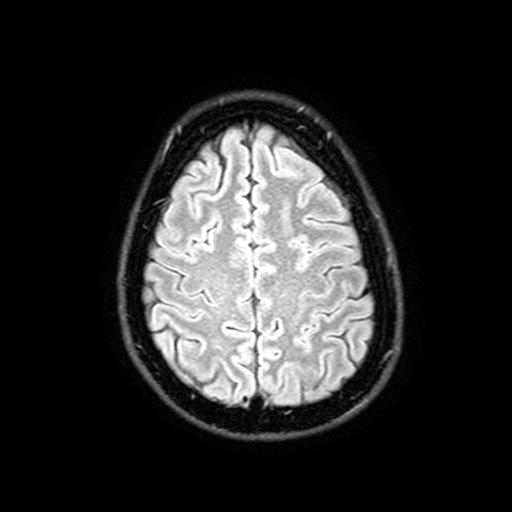
Summary:
3 Tesla brain MRI. Series: FLAIR with SPAIR, 3 mm. Study: ring-enhancing brain masses.